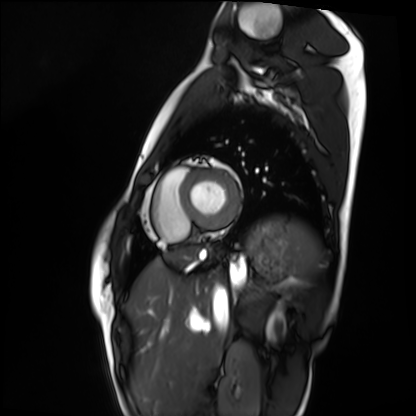
Cardiac MRI.
Subject group: healthy volunteer.